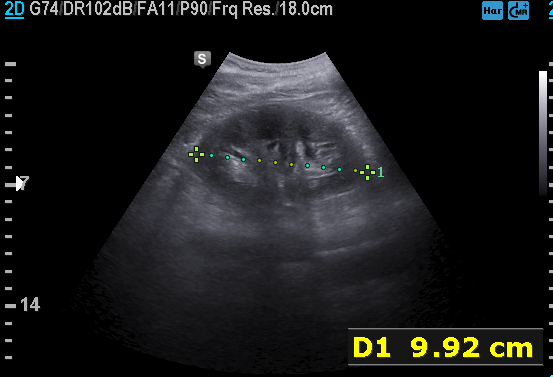
Q: What kind of scan is this?
A: Genitourinary ultrasound.